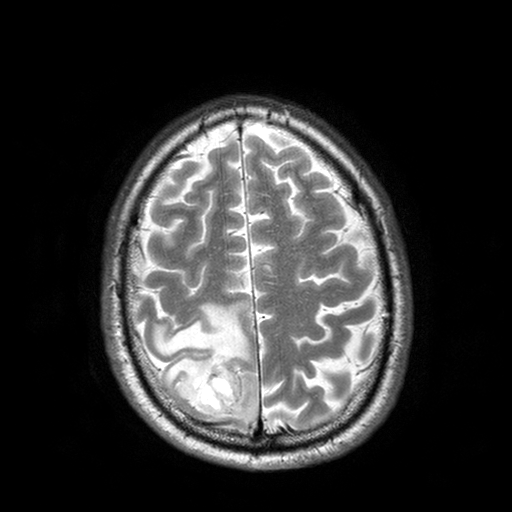
{
  "modality": {
    "type": "brain MRI",
    "field_strength": "3T"
  },
  "series": "T2-weighted turbo spin echo with SENSE",
  "study_topic": "ring-enhancing brain masses"
}